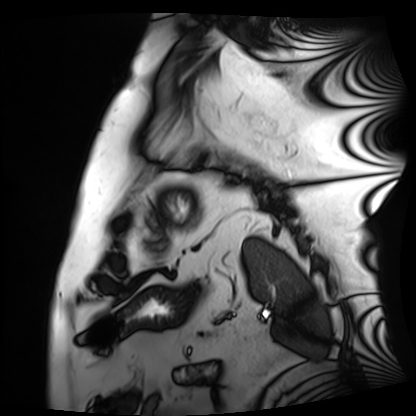
Clinical context:
Cardiac MRI. Subject group: patient.